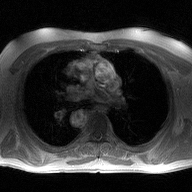
modality:
  type: 2D phase-contrast cine MRI
  region: ascending aorta
  reconstruction: high-resolution GRAPPA acquisition